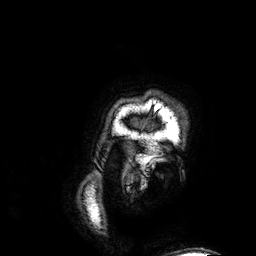
3 Tesla brain MRI.
Series: 3D T1-weighted.
Study: ring-enhancing brain masses.